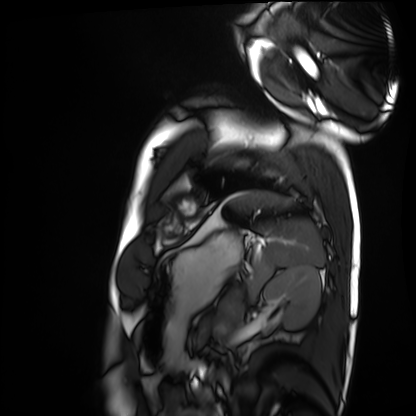
{
  "modality": "cardiac MRI",
  "cohort": "healthy volunteer"
}